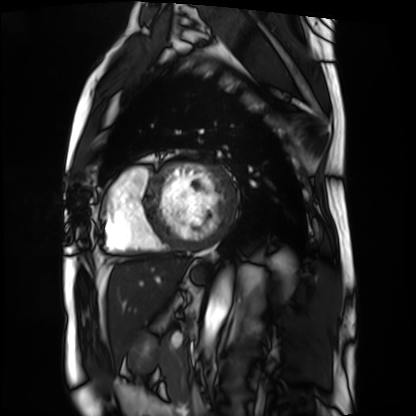
Cardiac MRI.
Subject group: patient.